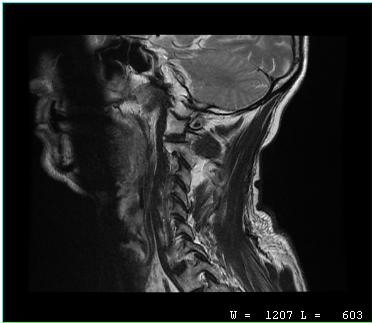
• modality: MRI of the cervical spine
• study: cervical spondylosis